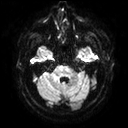
- modality — 3 Tesla brain MRI
- series — diffusion tensor imaging (medium iso)
- study — ring-enhancing brain masses